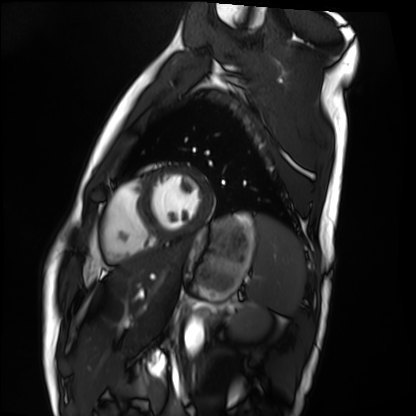
Clinical context: Cardiac MRI. Subject group: healthy volunteer.